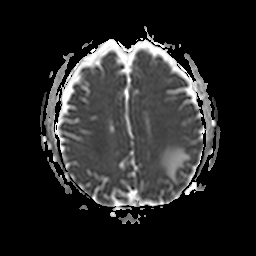
Summary:
3 Tesla brain MRI. Series: apparent diffusion coefficient (ADC) map. Study: ring-enhancing brain masses.